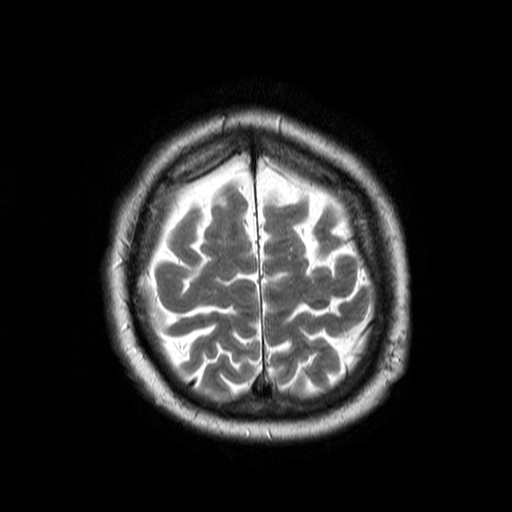
3 Tesla brain MRI. Series: T2-weighted turbo spin echo. Study: ring-enhancing brain masses.